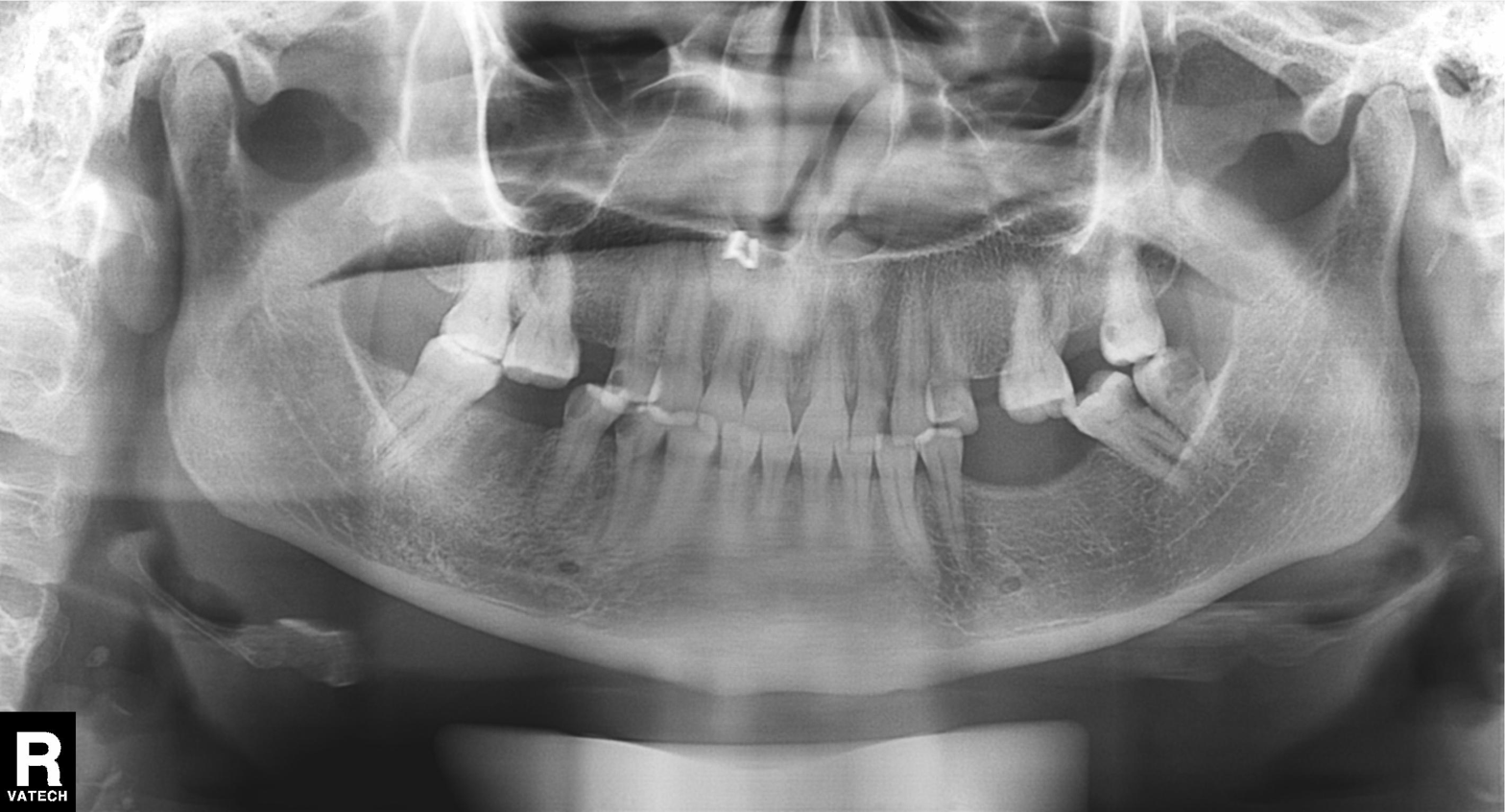
modality=panoramic dental radiograph (orthopantomogram) | finding=alveolar bone loss.